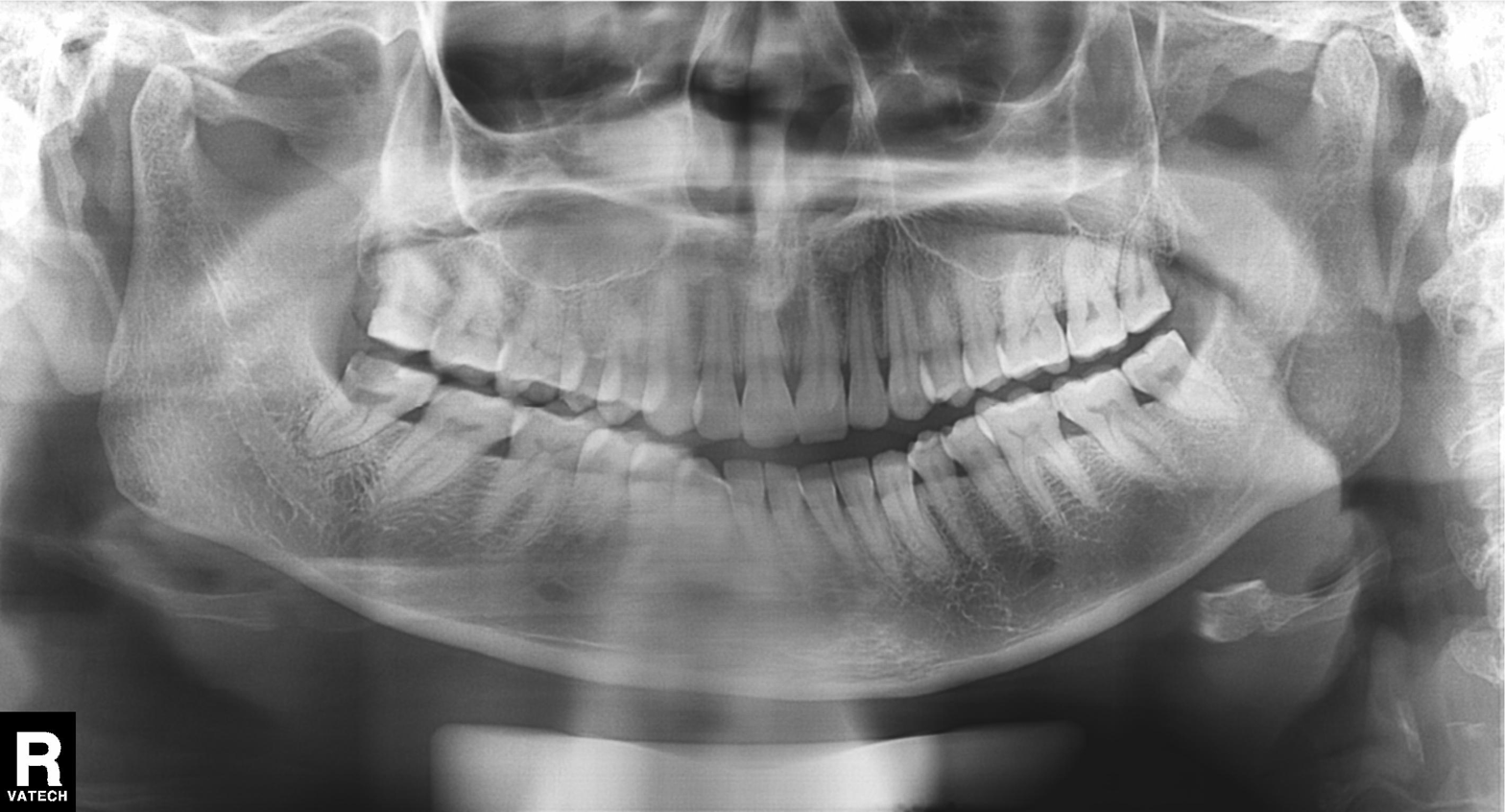
Panoramic dental radiograph (orthopantomogram).
Finding: alveolar bone loss.